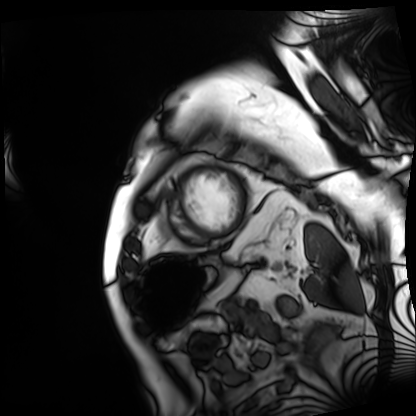
Case summary: Cardiac MRI. Subject group: patient.